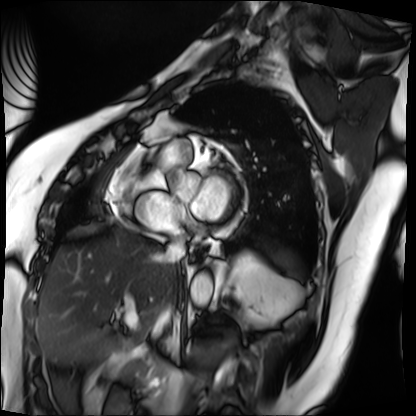
Case:
• modality — cardiac MRI
• subject group — patient